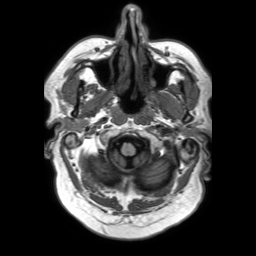
3 Tesla brain MRI.
Study: ring-enhancing brain masses.